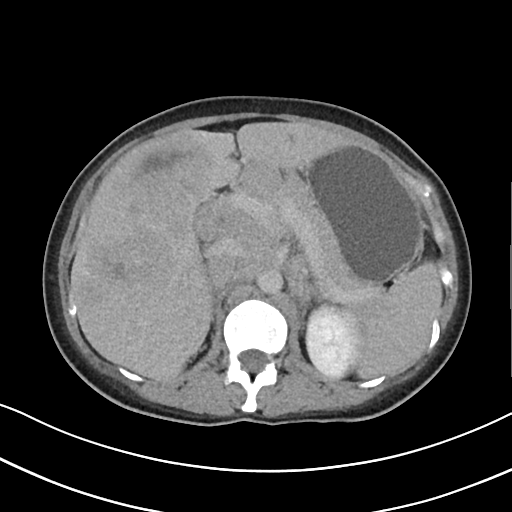
modality = multiphase abdominal CT, liver, delayed phase | patient = female, age 32 | history = viral hepatitis, prior chemotherapy.